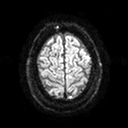
Summary: 3 Tesla brain MRI. Study: ring-enhancing brain masses.